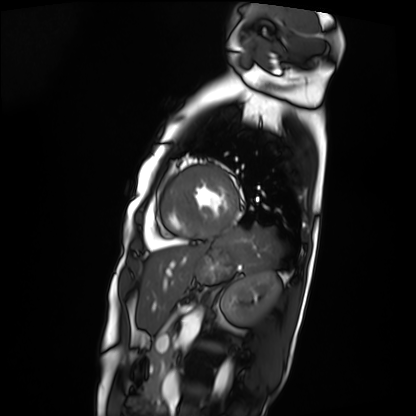
{
  "modality": "cardiac MRI",
  "cohort": "patient"
}